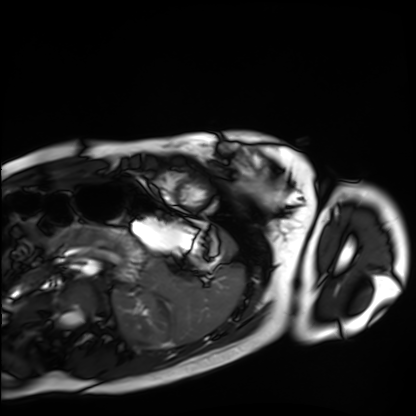
Cardiac MRI.
Subject group: healthy volunteer.